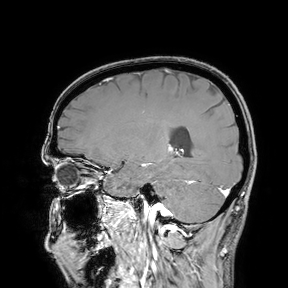
3 Tesla brain MRI.
Study: ring-enhancing brain masses.